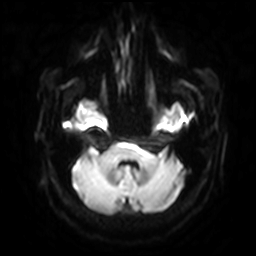
3 Tesla brain MRI. Series: diffusion-weighted imaging with SENSE (WIP). Study: ring-enhancing brain masses.